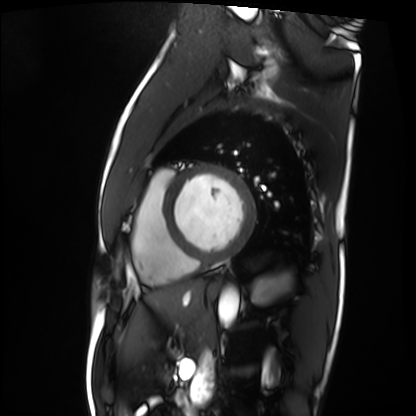
Summary: Cardiac MRI. Subject group: patient.